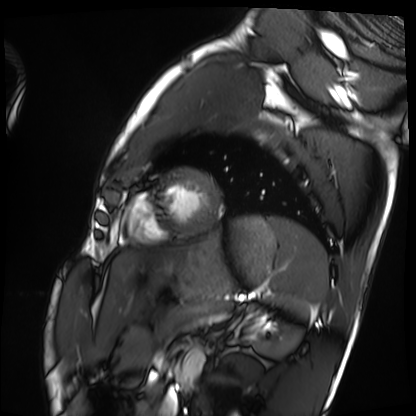
Cardiac MRI. Subject group: healthy volunteer.